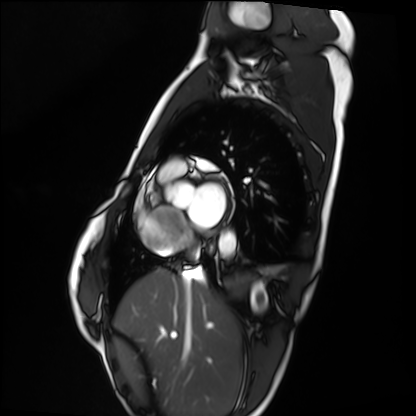
Cardiac MRI.
Subject group: healthy volunteer.